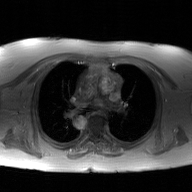
Summary:
2D phase-contrast cine MRI of the ascending aorta, GAN super-resolution reconstruction.